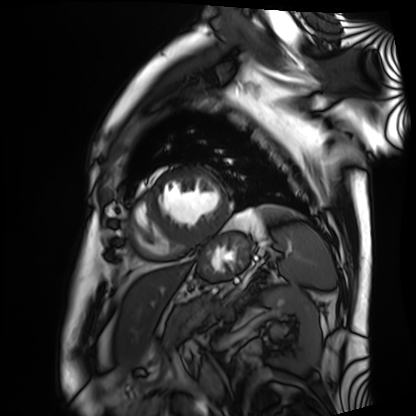
Cardiac MRI. Subject group: patient.